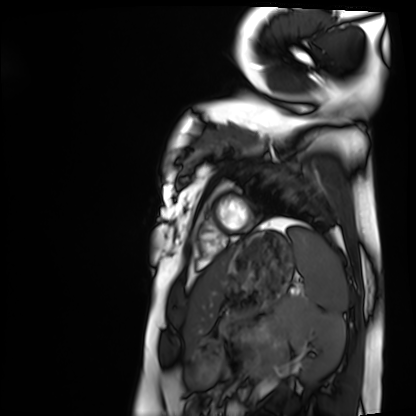
modality = cardiac MRI
subject group = healthy volunteer